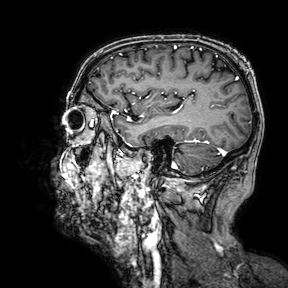
{"modality": {"type": "brain MRI", "field_strength": "3T"}, "series": "3D T1-weighted turbo field echo with SENSE", "study_topic": "ring-enhancing brain masses"}